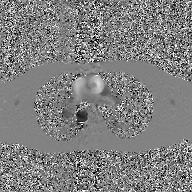
2D phase-contrast cine MRI of the ascending aorta, GAN super-resolution reconstruction.